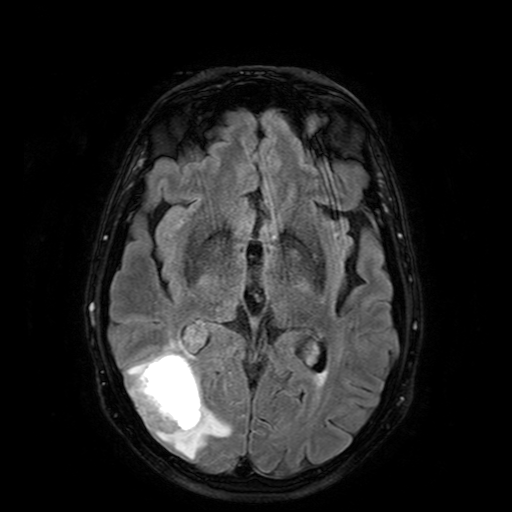
3 Tesla brain MRI. Series: FLAIR with SPAIR. Study: ring-enhancing brain masses.